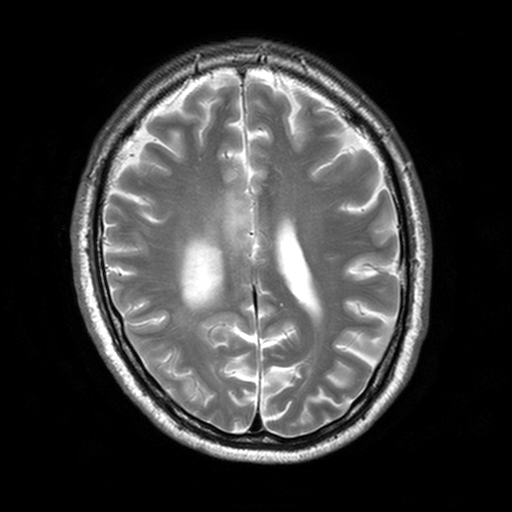
3 Tesla brain MRI. Series: T2-weighted turbo spin echo, 3 mm. Study: ring-enhancing brain masses.